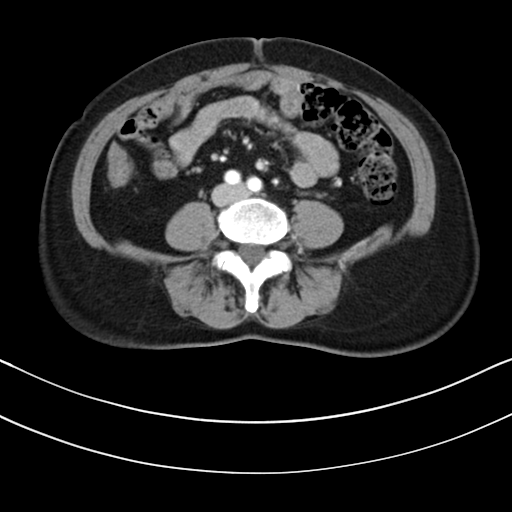
modality: multiphase abdominal CT, liver, arterial phase